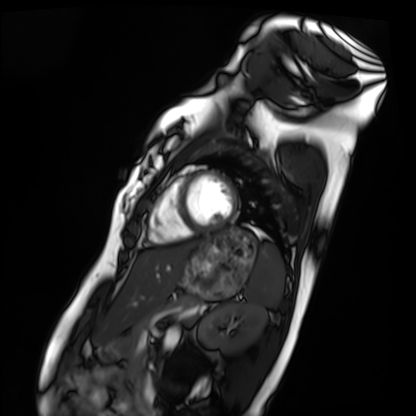
Cardiac MRI.
Subject group: healthy volunteer.